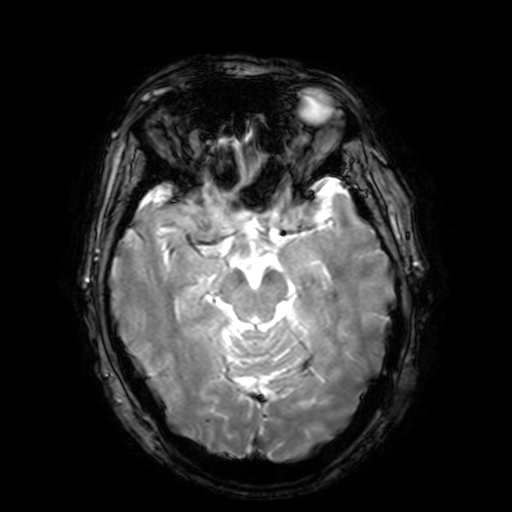
Case:
– modality — 3 Tesla brain MRI
– series — T2-weighted fast field echo with SENSE
– study — ring-enhancing brain masses